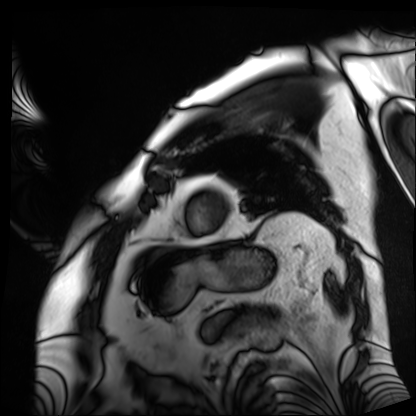
  modality: cardiac MRI
  cohort: patient